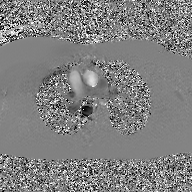
Case summary:
2D phase-contrast cine MRI of the ascending aorta, GAN super-resolution reconstruction.